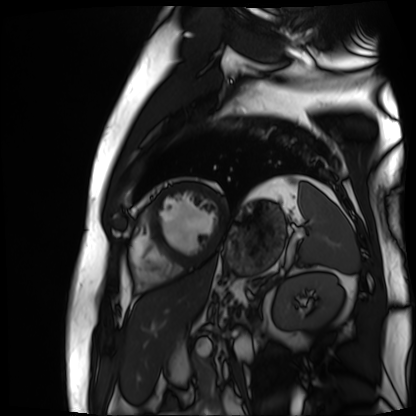
Case summary: Cardiac MR image of the myocardium. Subject cohort: cardiac patient.